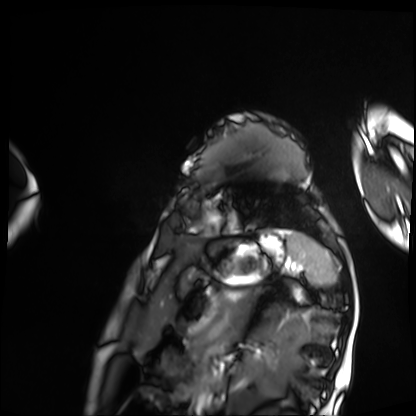
Cardiac MRI. Subject group: patient.